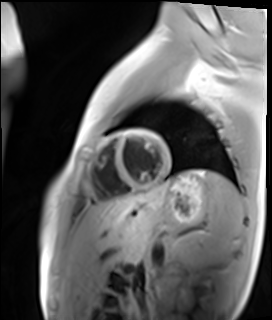
Cardiac MR image of the myocardium.
Subject cohort: healthy volunteer.